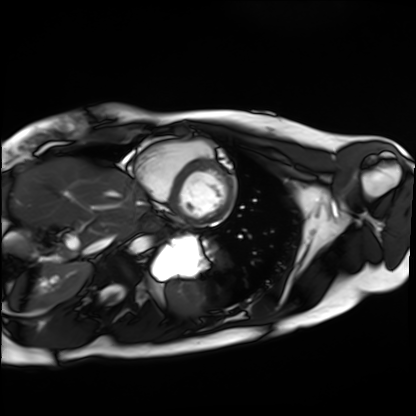
Clinical context: Cardiac MRI. Subject group: healthy volunteer.